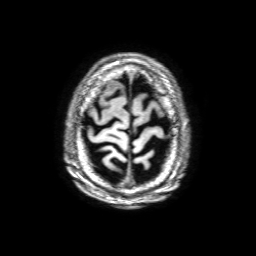
Summary: 3 Tesla brain MRI. Series: 3D T1-weighted with SENSE. Study: ring-enhancing brain masses.